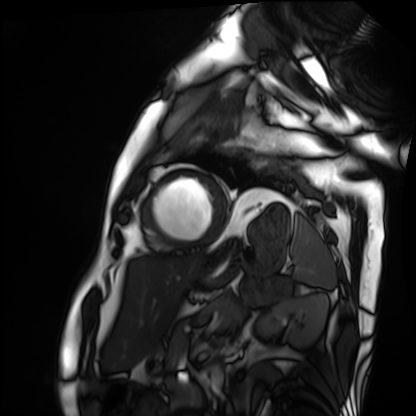
Summary:
Cardiac MRI. Subject group: patient.